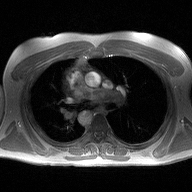
| field | value |
|---|---|
| modality | 2D phase-contrast cine MRI of the ascending aorta |